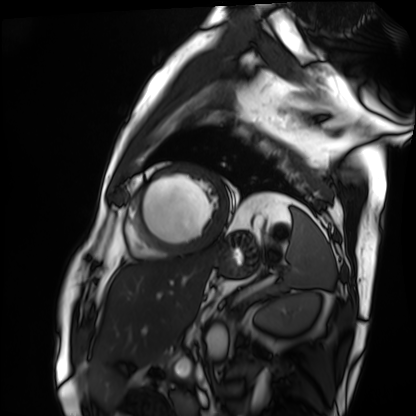
Q: What kind of scan is this?
A: Cardiac MRI.
Subject group: patient.